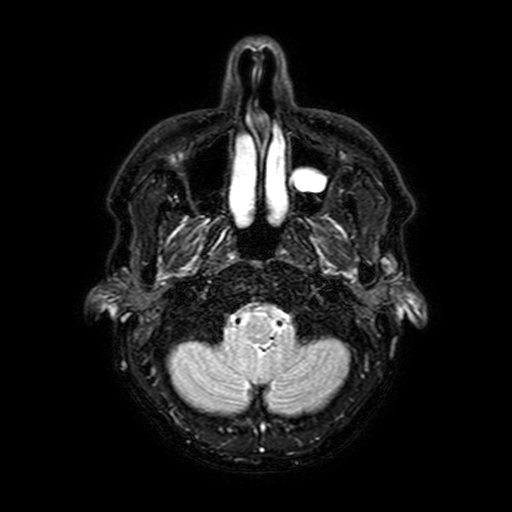
{
  "modality": {
    "type": "brain MRI",
    "field_strength": "3T"
  },
  "series": "FLAIR with SPAIR, 3 mm",
  "study_topic": "ring-enhancing brain masses"
}